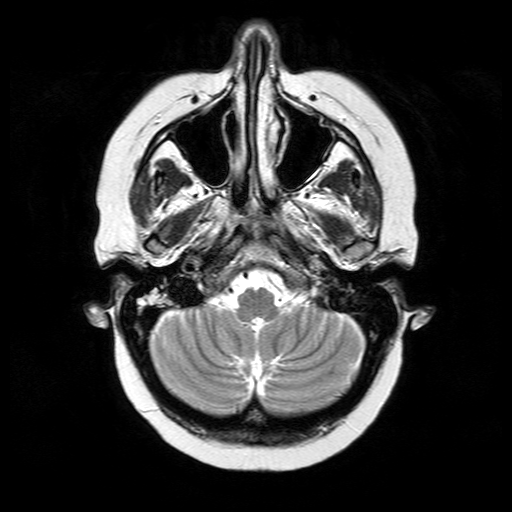
modality:
  type: brain MRI
  field_strength: 3T
series: T2-weighted turbo spin echo
study_topic: ring-enhancing brain masses